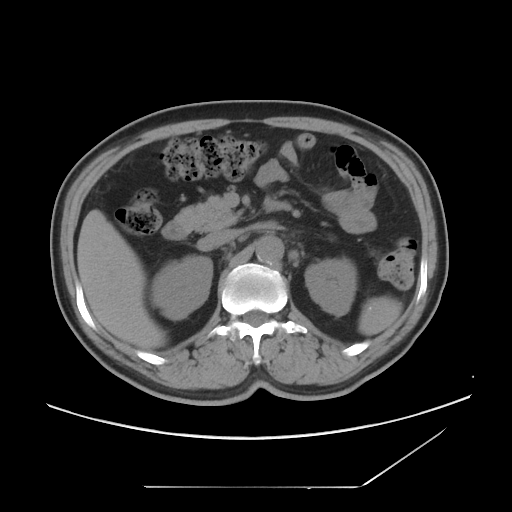
Multiphase abdominal CT, liver, non-contrast phase. Patient: male, age 54. History: viral hepatitis.